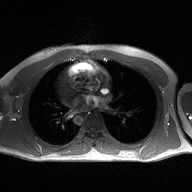
Summary:
2D phase-contrast cine MRI of the ascending aorta, high-resolution GRAPPA acquisition.